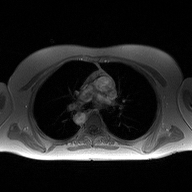
2D phase-contrast cine MRI of the ascending aorta, high-resolution GRAPPA acquisition.